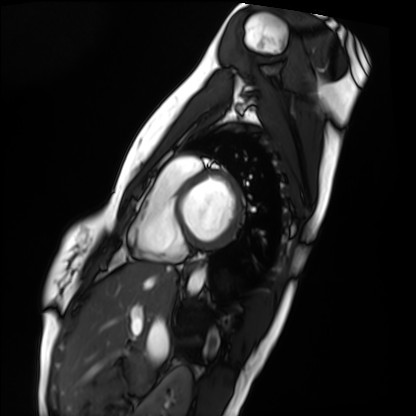
modality: cardiac MRI
subject group: healthy volunteer